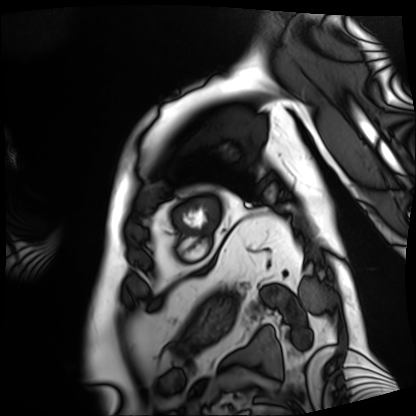
modality = cardiac MRI; subject group = patient.